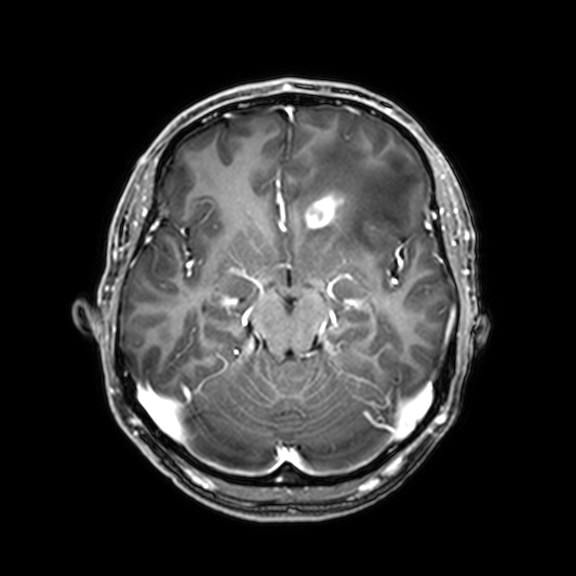
Clinical context: 3 Tesla brain MRI. Series: 3D T1-weighted with CLEAR. Study: ring-enhancing brain masses.